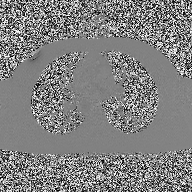
Summary:
2D phase-contrast cine MRI of the ascending aorta, high-resolution GRAPPA acquisition.